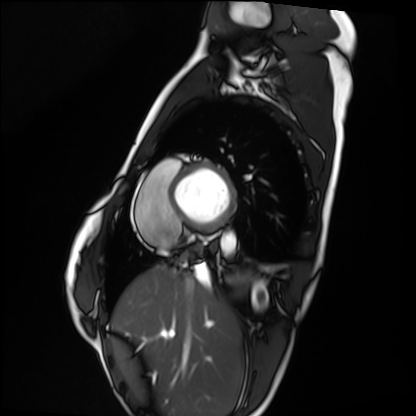
<record>
<modality>cardiac MRI</modality>
<cohort>healthy volunteer</cohort>
</record>